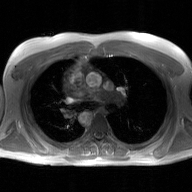
Q: What kind of scan is this?
A: 2D phase-contrast cine MRI of the ascending aorta, GAN super-resolution reconstruction.